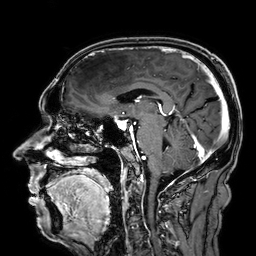
modality: 3 Tesla brain MRI
series: 3D T1-weighted
study: ring-enhancing brain masses